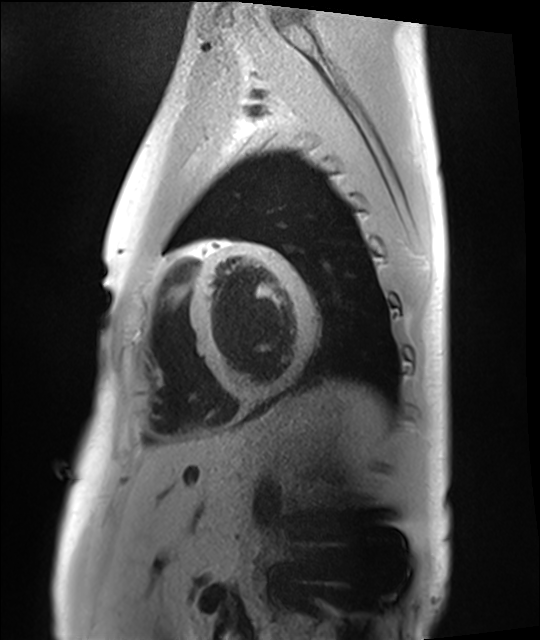
Summary: Cardiac MRI. Subject group: healthy volunteer.